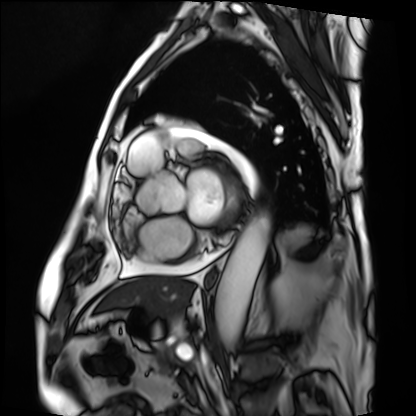
modality — cardiac MRI
subject group — patient